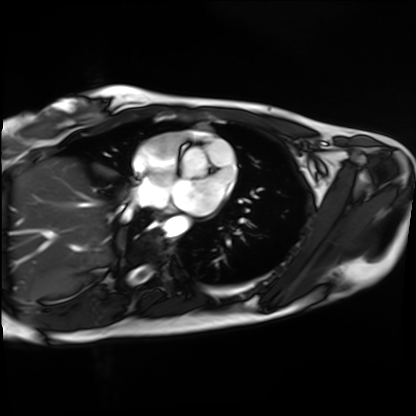
modality: cardiac MRI
subject group: healthy volunteer